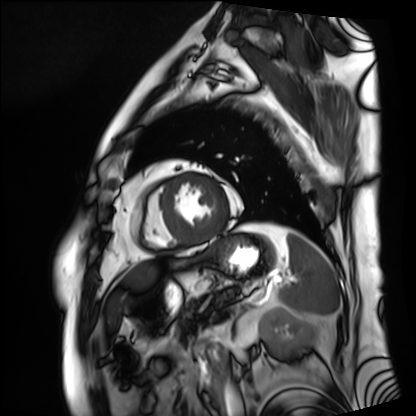
modality = cardiac MRI; subject group = patient.